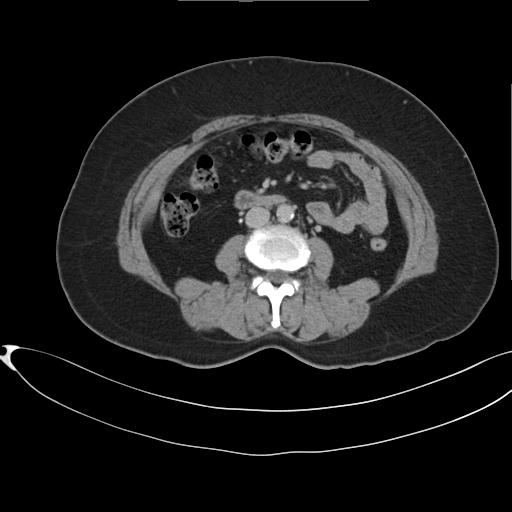
modality=multiphase abdominal CT, liver, delayed phase
patient=female, age 54
history=prior chemotherapy